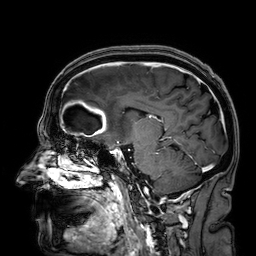
Q: What kind of scan is this?
A: 3 Tesla brain MRI.
Q: Series?
A: 3D T1-weighted.
Study: ring-enhancing brain masses.